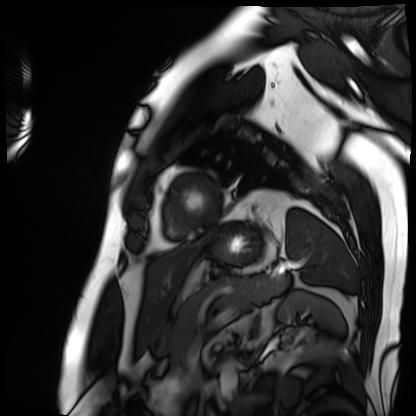
Summary:
Cardiac MRI. Subject group: patient.